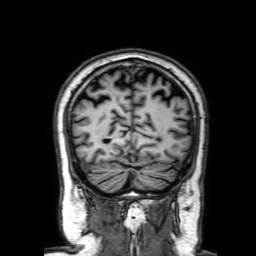
Q: What kind of scan is this?
A: 3 Tesla brain MRI.
Q: Series?
A: 3D T1-weighted with SENSE.
Study: ring-enhancing brain masses.